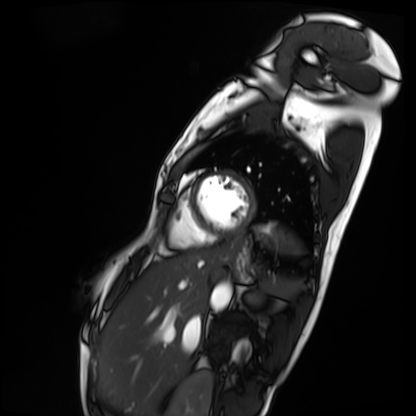
{
  "modality": "cardiac MRI",
  "cohort": "patient"
}